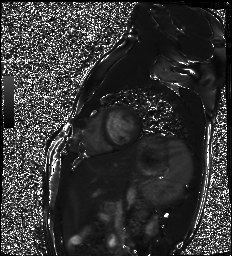
Cardiac MR image of the myocardium. Subject cohort: healthy volunteer.